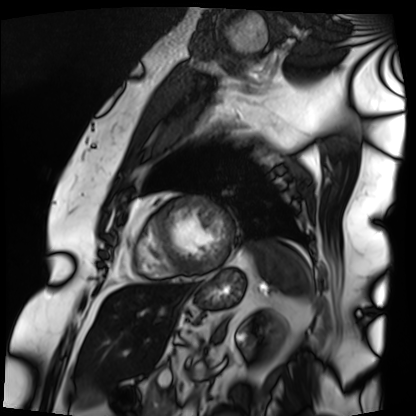
modality = cardiac MRI, subject group = patient.